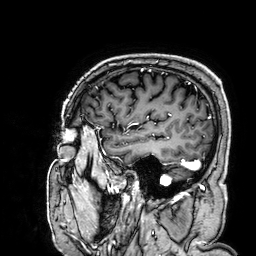
Summary: 3 Tesla brain MRI. Series: 3D T1-weighted. Study: ring-enhancing brain masses.